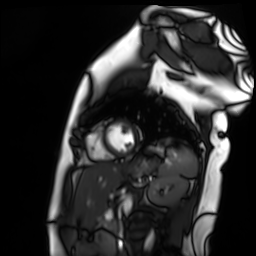
• modality — cardiac MR image of the myocardium
• subject cohort — healthy volunteer